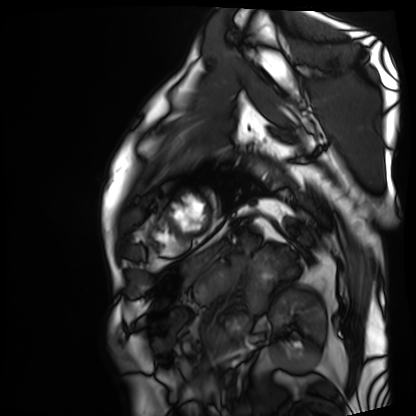
Q: What kind of scan is this?
A: Cardiac MRI.
Subject group: patient.